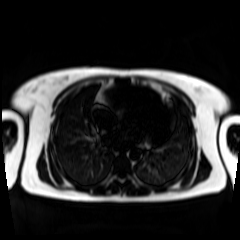
Chemical-shift-encoded cardiac MRI.